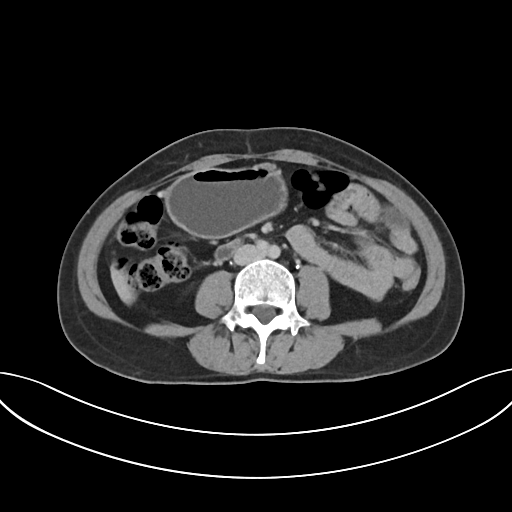
modality = multiphase abdominal CT, liver, delayed phase | patient = female, age 48.